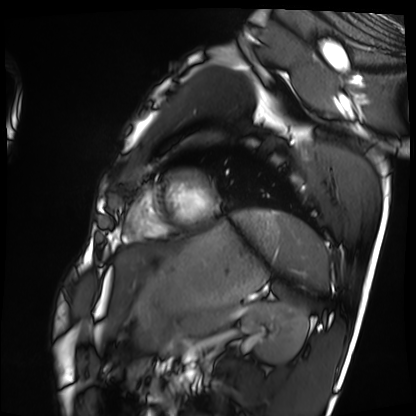
Q: What kind of scan is this?
A: Cardiac MRI.
Subject group: healthy volunteer.